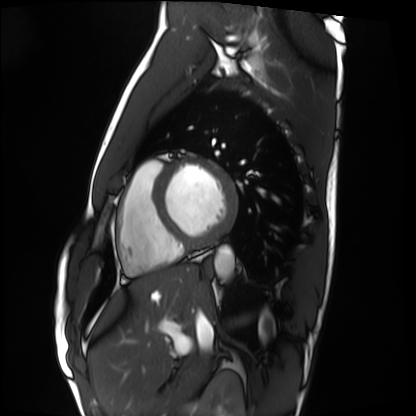
modality: cardiac MRI | subject group: healthy volunteer.